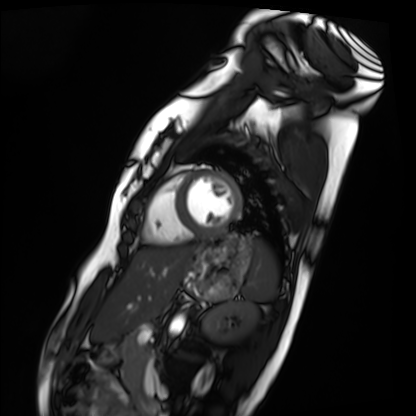
– modality · cardiac MRI
– subject group · healthy volunteer